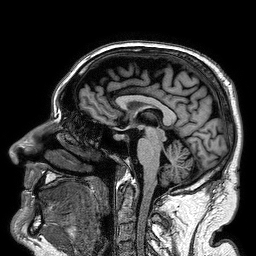
Case:
– modality: 3 Tesla brain MRI
– study: ring-enhancing brain masses